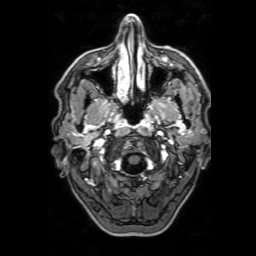
Q: What kind of scan is this?
A: 3 Tesla brain MRI.
Q: Series?
A: 3D T1-weighted with SENSE.
Study: ring-enhancing brain masses.